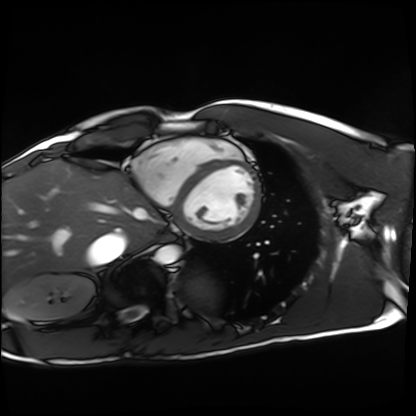
modality = cardiac MRI
subject group = healthy volunteer